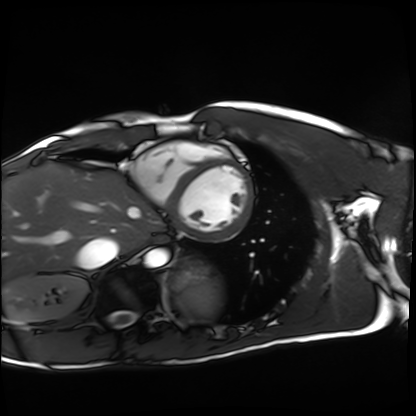
modality=cardiac MRI
subject group=healthy volunteer